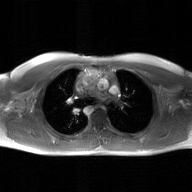
<study>
  <modality>
    <type>2D phase-contrast cine MRI</type>
    <region>ascending aorta</region>
    <reconstruction>GAN super-resolution reconstruction</reconstruction>
  </modality>
</study>